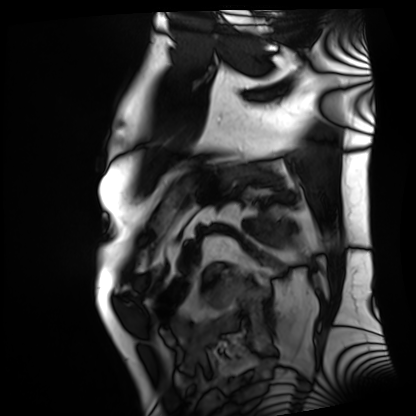
{
  "modality": "cardiac MRI",
  "cohort": "patient"
}